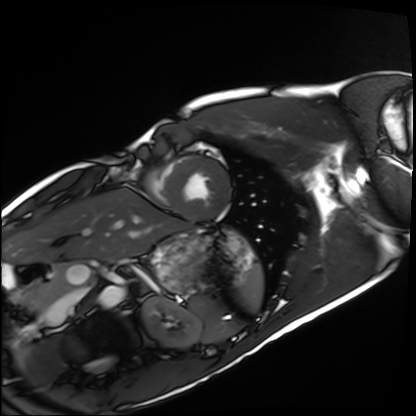
  modality: cardiac MRI
  cohort: healthy volunteer